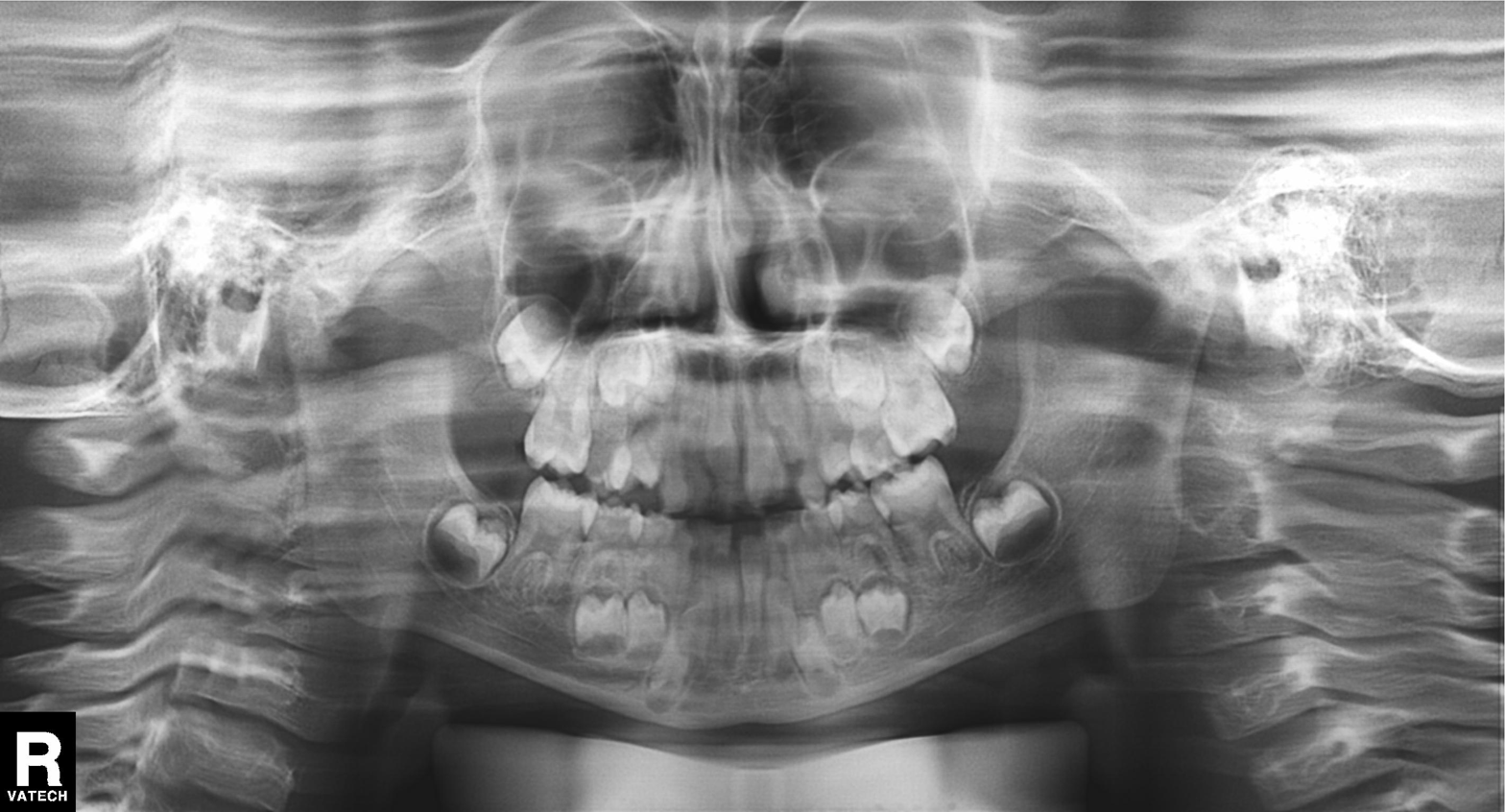
<study>
  <modality>panoramic dental radiograph (orthopantomogram)</modality>
  <finding>alveolar bone loss</finding>
</study>